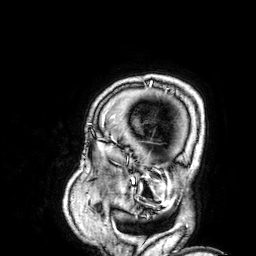
3 Tesla brain MRI.
Series: 3D T1-weighted.
Study: ring-enhancing brain masses.